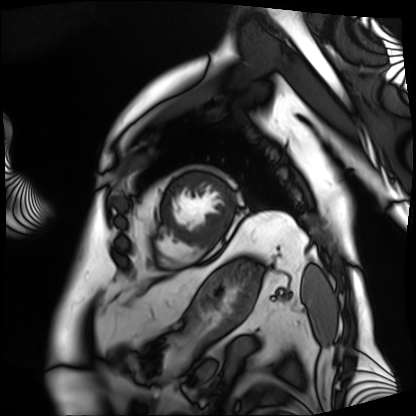
{
  "modality": "cardiac MRI",
  "cohort": "patient"
}